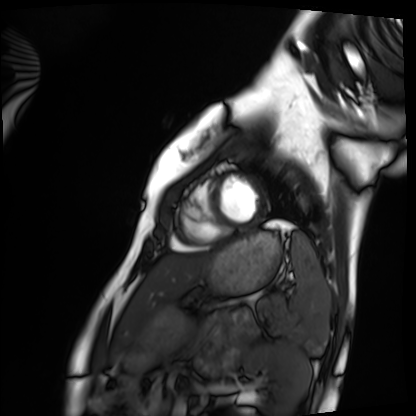
modality = cardiac MRI | subject group = healthy volunteer.